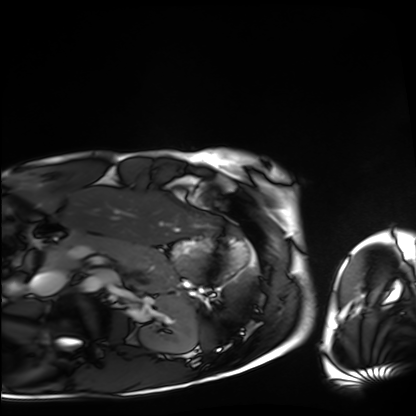
Q: What kind of scan is this?
A: Cardiac MRI.
Subject group: healthy volunteer.